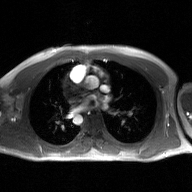
2D phase-contrast cine MRI of the ascending aorta, GAN super-resolution reconstruction.